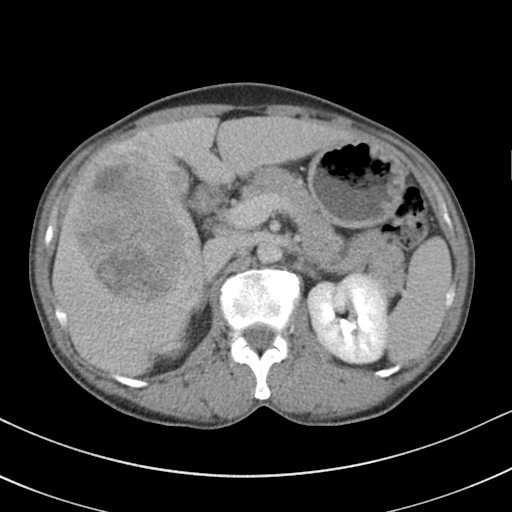
* modality: multiphase abdominal CT, liver, delayed phase
* patient: male, age 51
* history: viral hepatitis